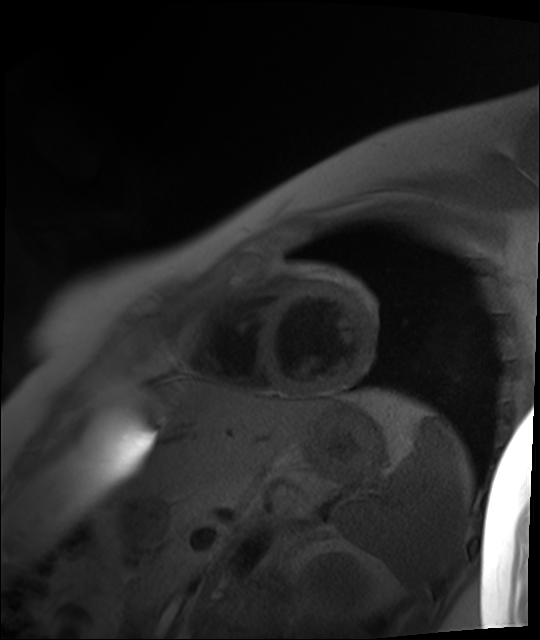
Q: What kind of scan is this?
A: Cardiac MR image of the myocardium.
Subject cohort: healthy volunteer.